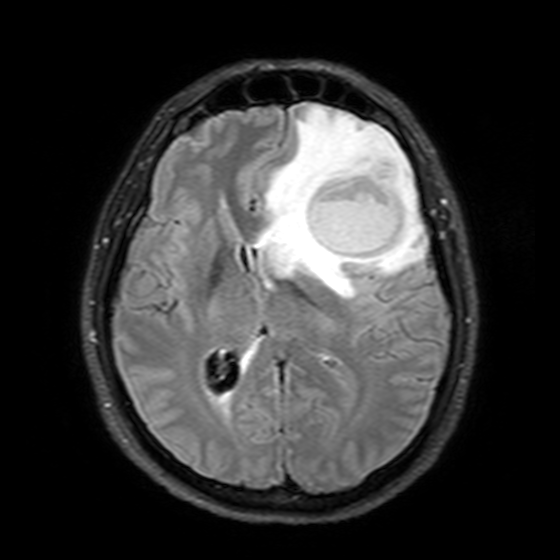
modality: 3 Tesla brain MRI; series: T2-weighted FLAIR; study: ring-enhancing brain masses.